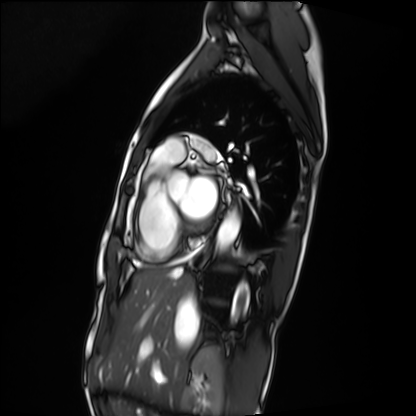
Cardiac MRI. Subject group: patient.